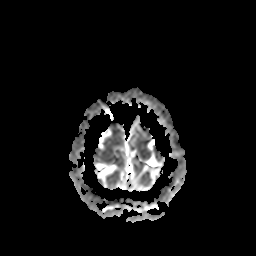
modality = 3 Tesla brain MRI | series = apparent diffusion coefficient (ADC) map | study = ring-enhancing brain masses.